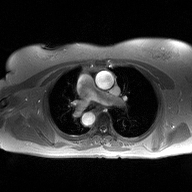
2D phase-contrast cine MRI of the ascending aorta, high-resolution GRAPPA acquisition.